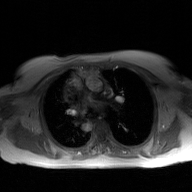
* modality · 2D phase-contrast cine MRI of the ascending aorta, GAN super-resolution reconstruction